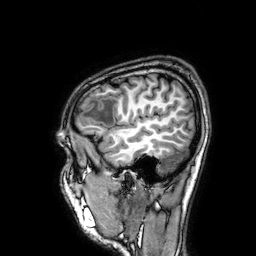
modality=3 Tesla brain MRI | series=3D T1-weighted | study=ring-enhancing brain masses.